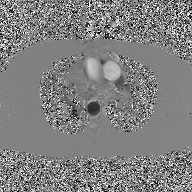
2D phase-contrast cine MRI of the ascending aorta, GAN super-resolution reconstruction.